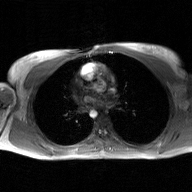
modality = 2D phase-contrast cine MRI of the ascending aorta, GAN super-resolution reconstruction.